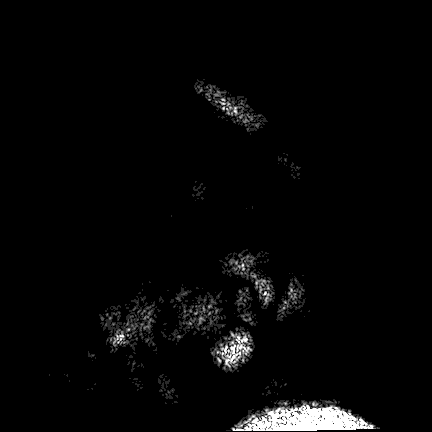
3 Tesla brain MRI. Series: FLAIR VISTA. Study: ring-enhancing brain masses.